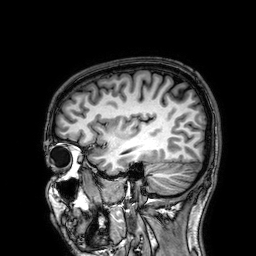
3 Tesla brain MRI. Study: ring-enhancing brain masses.